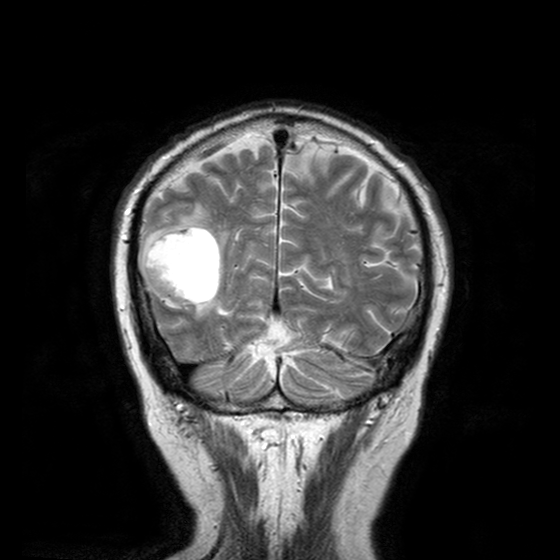
- modality · 3 Tesla brain MRI
- series · T2-weighted turbo spin echo with CLEAR
- study · ring-enhancing brain masses